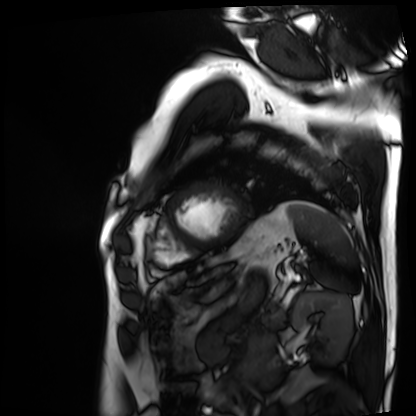
  modality: cardiac MRI
  cohort: patient